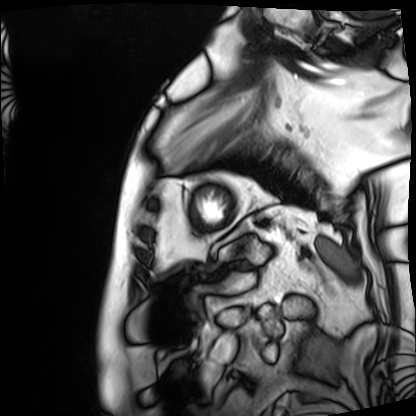
Cardiac MRI. Subject group: patient.